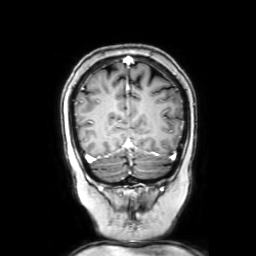
{"modality": {"type": "brain MRI", "field_strength": "3T"}, "series": "coronal with contrast", "study_topic": "ring-enhancing brain masses"}